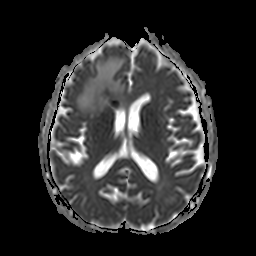
modality: 3 Tesla brain MRI | series: apparent diffusion coefficient (ADC) map | study: ring-enhancing brain masses.